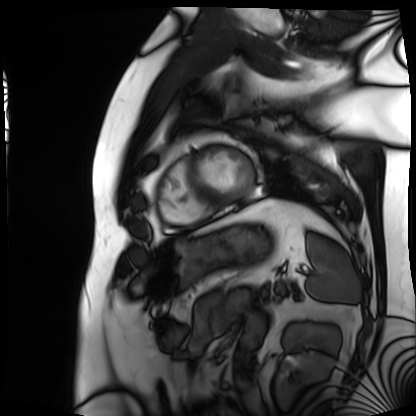
Summary: Cardiac MRI. Subject group: patient.